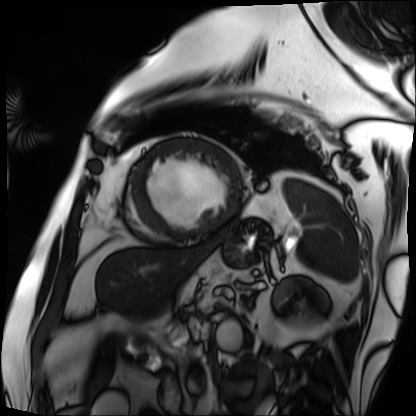
Q: What kind of scan is this?
A: Cardiac MRI.
Subject group: patient.